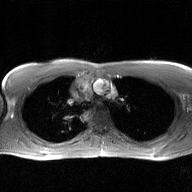
2D phase-contrast cine MRI of the ascending aorta, GAN super-resolution reconstruction.